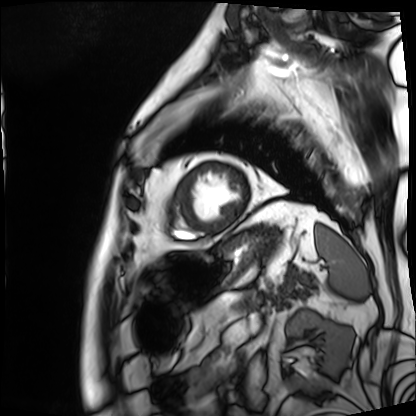
{"modality": "cardiac MRI", "cohort": "patient"}